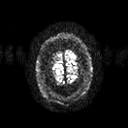
3 Tesla brain MRI. Series: diffusion tensor imaging (medium iso). Study: ring-enhancing brain masses.